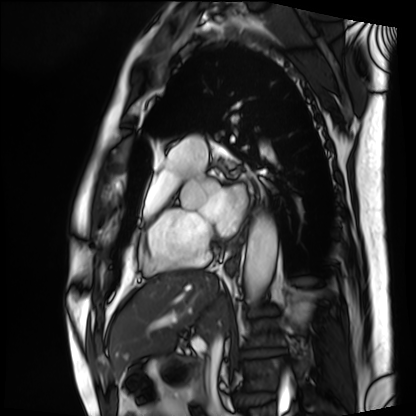
modality = cardiac MRI
subject group = patient